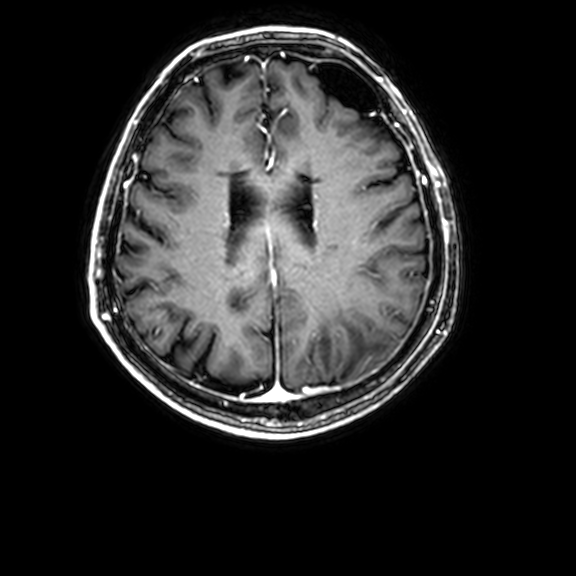
3 Tesla brain MRI. Series: 3D T1-weighted with CLEAR. Study: ring-enhancing brain masses.